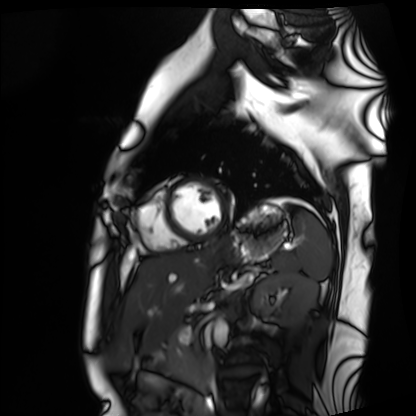
Case:
• modality · cardiac MRI
• subject group · healthy volunteer